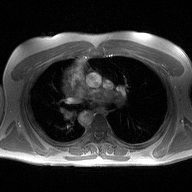
Clinical context:
2D phase-contrast cine MRI of the ascending aorta, high-resolution GRAPPA acquisition.